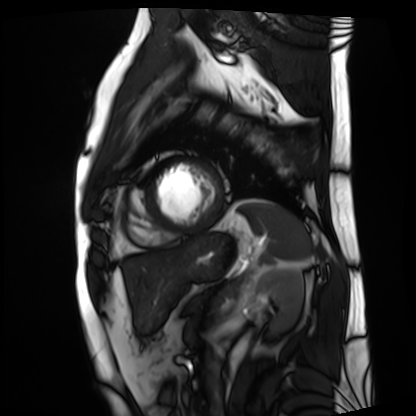
modality: cardiac MRI
subject group: patient